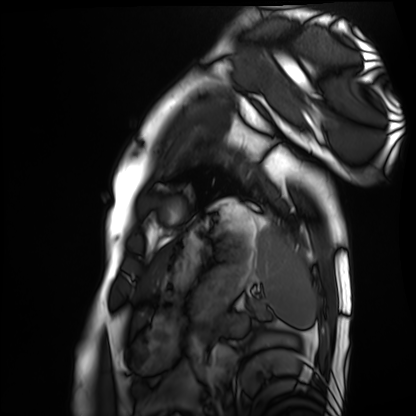
Cardiac MRI. Subject group: healthy volunteer.